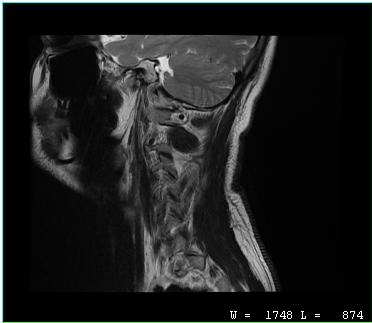
MRI of the cervical spine. Study: cervical spondylosis.